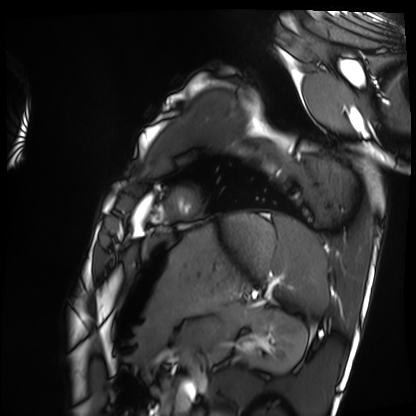
{
  "modality": "cardiac MRI",
  "cohort": "healthy volunteer"
}